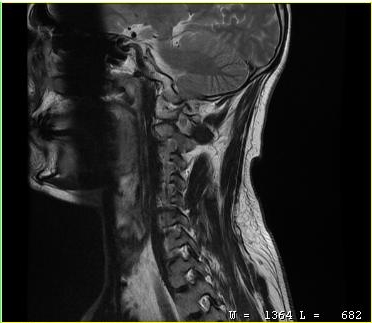
MRI of the cervical spine.
Study: cervical spondylosis.